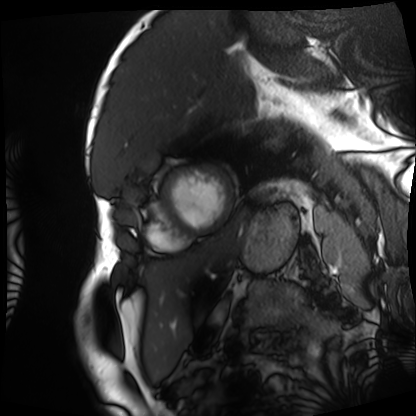
Cardiac MRI. Subject group: patient.